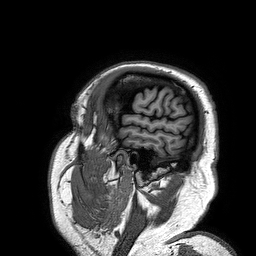
Case:
* modality · 3 Tesla brain MRI
* series · 3D T1-weighted turbo field echo
* study · ring-enhancing brain masses